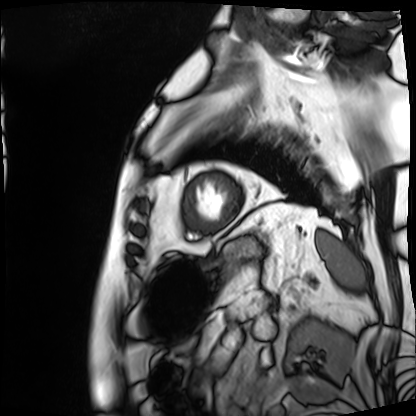
Cardiac MRI. Subject group: patient.